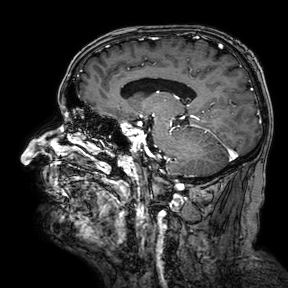
Case summary: 3 Tesla brain MRI. Series: 3D T1-weighted turbo field echo with SENSE. Study: ring-enhancing brain masses.